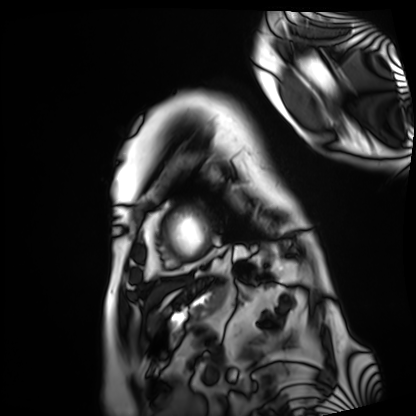
Q: What kind of scan is this?
A: Cardiac MRI.
Subject group: patient.